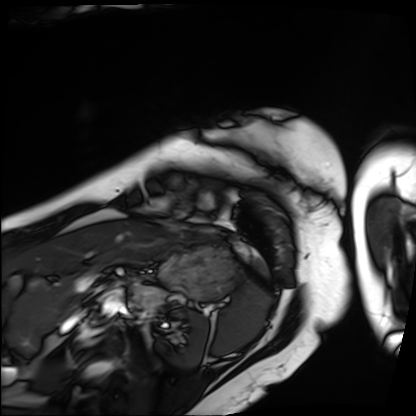
Summary: Cardiac MRI. Subject group: patient.